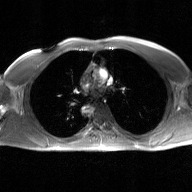
{"modality": {"type": "2D phase-contrast cine MRI", "region": "ascending aorta", "reconstruction": "GAN super-resolution reconstruction"}}